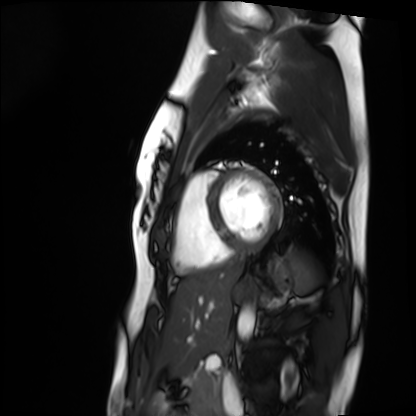
<record>
<modality>cardiac MRI</modality>
<cohort>healthy volunteer</cohort>
</record>